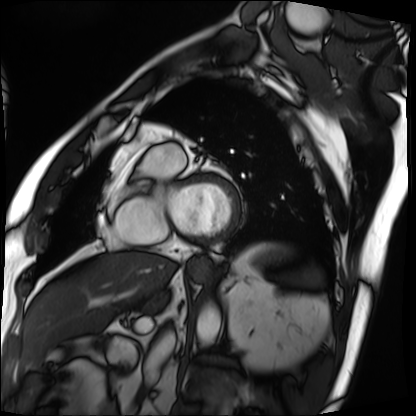
Cardiac MRI. Subject group: patient.